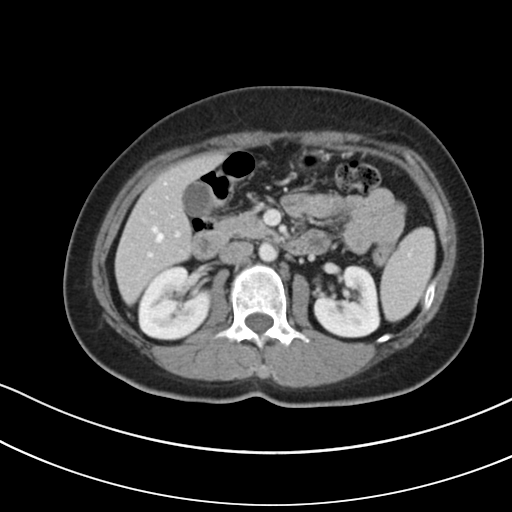
Multiphase abdominal CT, liver, portal venous phase. Patient: female, age 47.